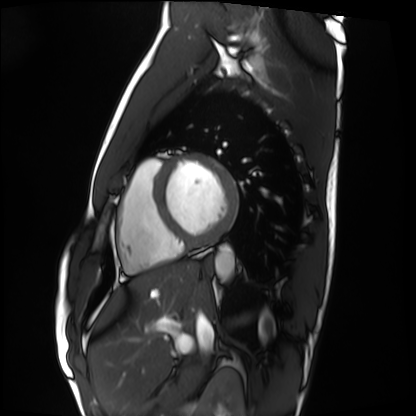
Cardiac MRI. Subject group: healthy volunteer.